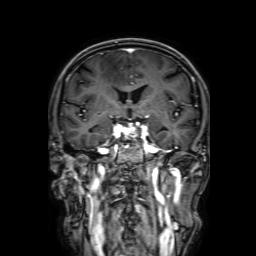
3 Tesla brain MRI. Series: 3D T1-weighted with SENSE. Study: ring-enhancing brain masses.